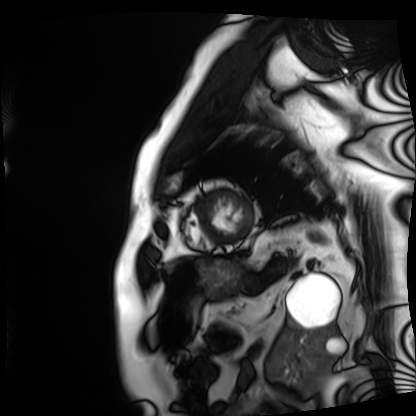
modality=cardiac MRI; subject group=patient.